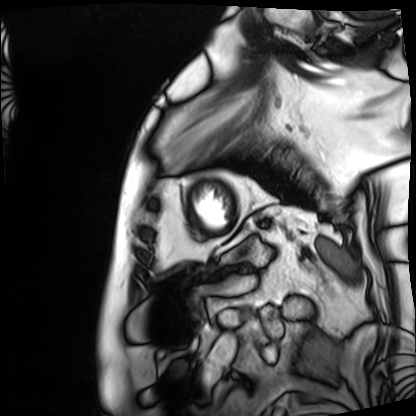
  modality: cardiac MRI
  cohort: patient